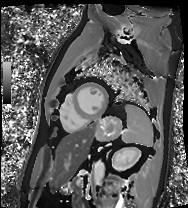
Q: What kind of scan is this?
A: Cardiac MRI.
Subject group: patient.